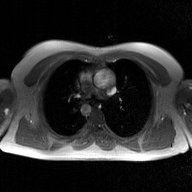
– modality — 2D phase-contrast cine MRI of the ascending aorta, GAN super-resolution reconstruction